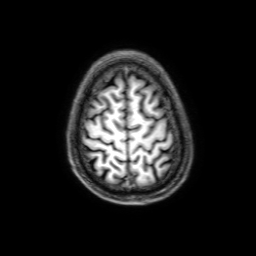
Q: What kind of scan is this?
A: 3 Tesla brain MRI.
Q: Series?
A: 3D T1-weighted with SENSE.
Study: ring-enhancing brain masses.